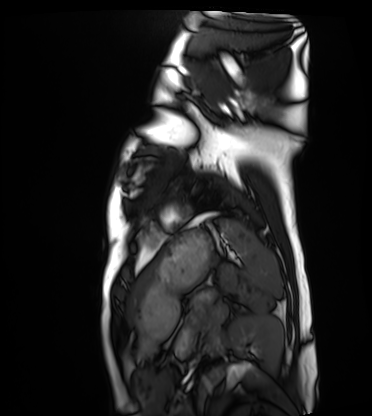
modality: cardiac MRI | subject group: healthy volunteer.